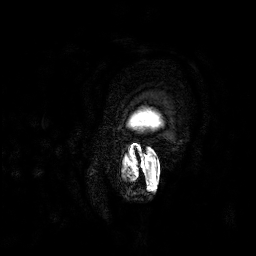
Case summary: 3 Tesla brain MRI. Series: 3D T1-weighted. Study: ring-enhancing brain masses.